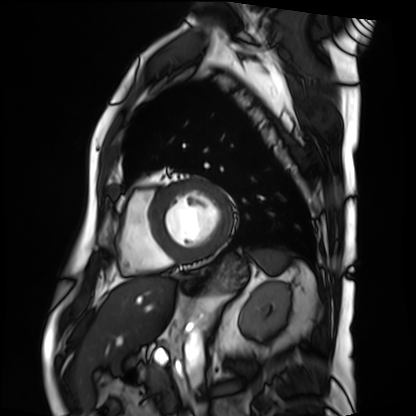
Cardiac MRI. Subject group: patient.